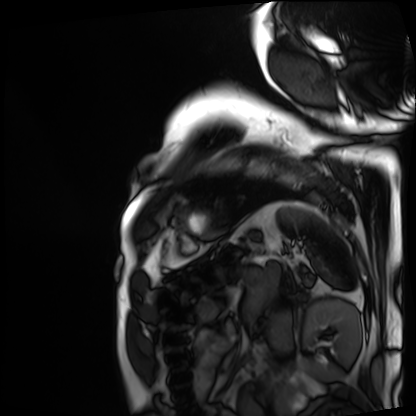
Case summary: Cardiac MRI. Subject group: patient.